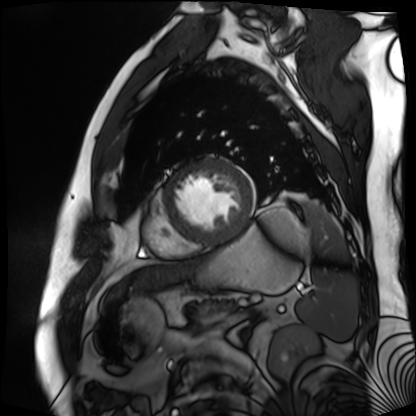
Cardiac MR image of the myocardium.
Subject cohort: cardiac patient.